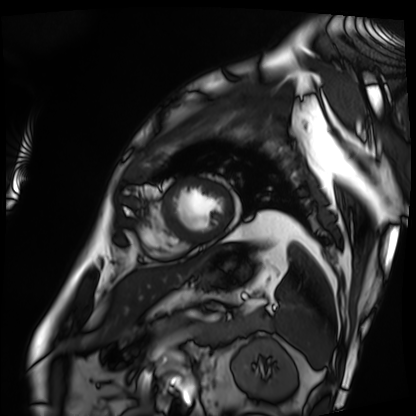
• modality: cardiac MRI
• subject group: patient